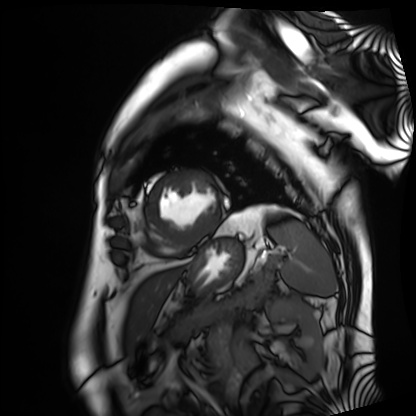
Cardiac MRI.
Subject group: patient.